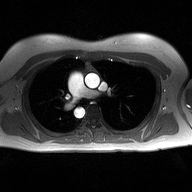
Summary: 2D phase-contrast cine MRI of the ascending aorta, high-resolution GRAPPA acquisition.